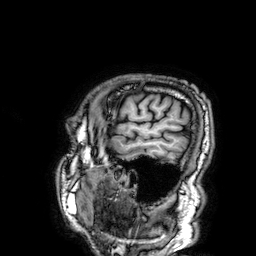
Clinical context: 3 Tesla brain MRI. Series: 3D T1-weighted. Study: ring-enhancing brain masses.